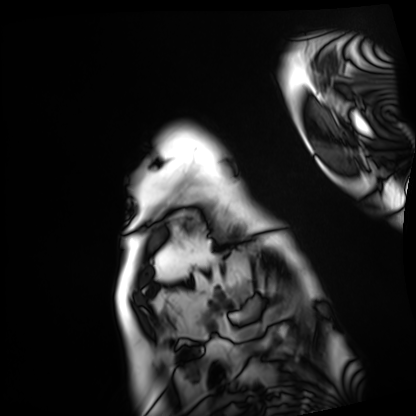
Cardiac MRI.
Subject group: patient.